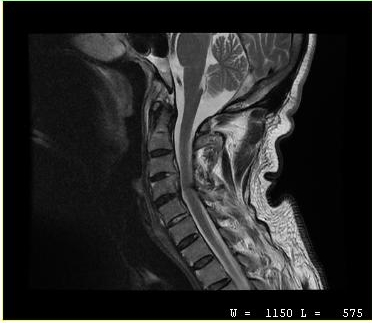
Case summary:
MRI of the cervical spine. Study: cervical spondylosis.